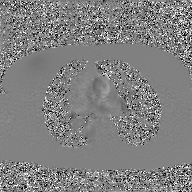
2D phase-contrast cine MRI of the ascending aorta, GAN super-resolution reconstruction.